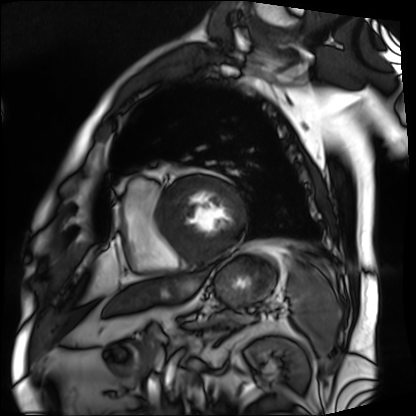
  modality: cardiac MRI
  cohort: patient